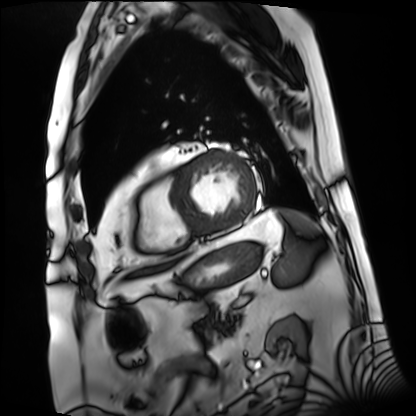
Q: What kind of scan is this?
A: Cardiac MRI.
Subject group: patient.